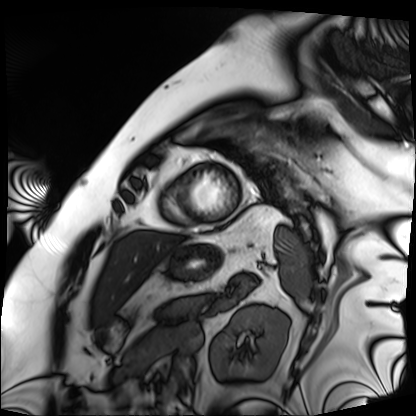
{"modality": "cardiac MRI", "cohort": "patient"}